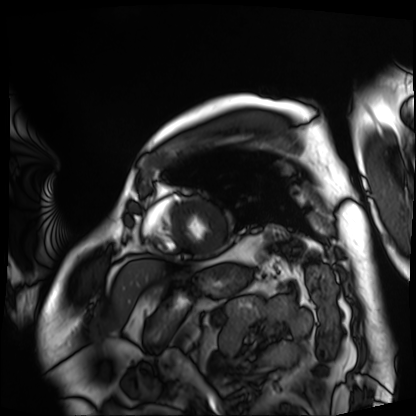
Cardiac MRI. Subject group: patient.